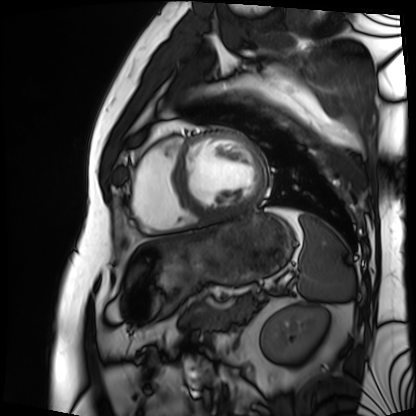
Case:
• modality — cardiac MRI
• subject group — patient